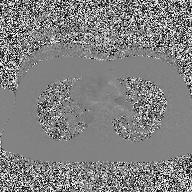
| field | value |
|---|---|
| modality | 2D phase-contrast cine MRI of the ascending aorta |